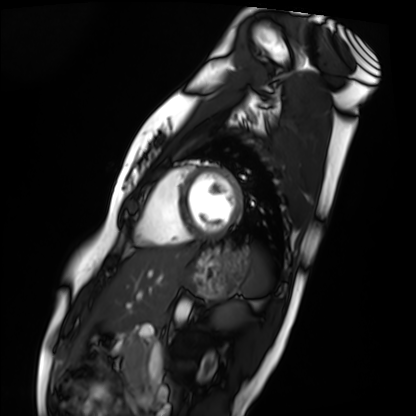
Summary:
Cardiac MRI. Subject group: healthy volunteer.